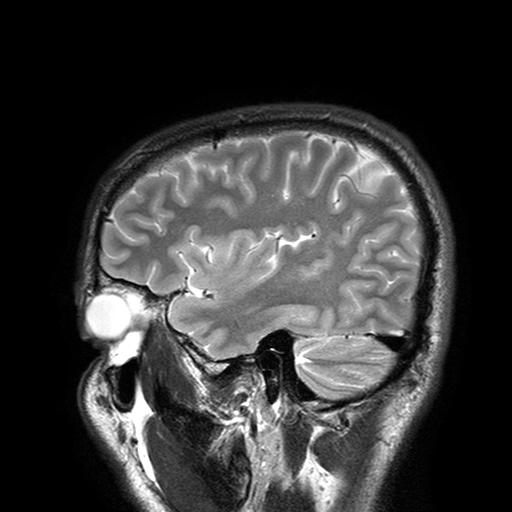
3 Tesla brain MRI.
Series: T2-weighted turbo spin echo with SENSE.
Study: ring-enhancing brain masses.